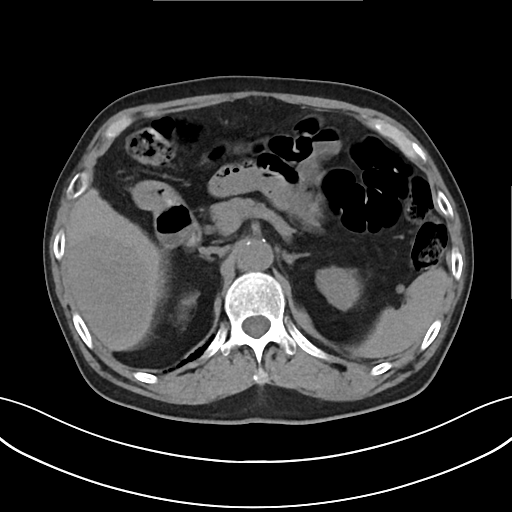
Clinical context: Multiphase abdominal CT, liver, non-contrast phase. Patient: male, age 76. History: cirrhosis, viral hepatitis.